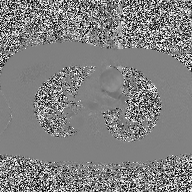
- modality: 2D phase-contrast cine MRI of the ascending aorta